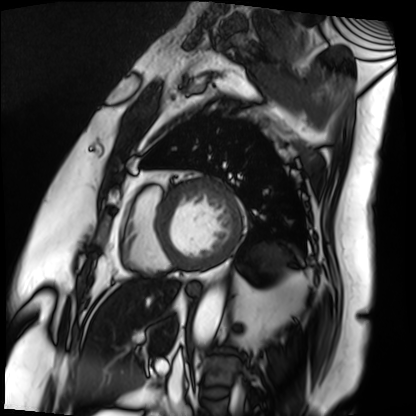
Q: What kind of scan is this?
A: Cardiac MRI.
Subject group: patient.